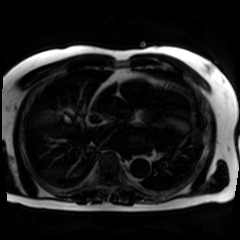
Summary: Chemical-shift-encoded cardiac MRI.